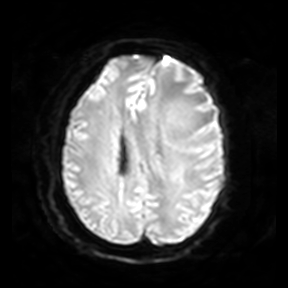
  modality:
    type: brain MRI
    field_strength: 3T
  series: diffusion-weighted imaging
  study_topic: ring-enhancing brain masses